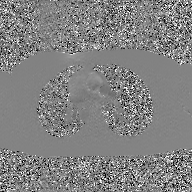
| field | value |
|---|---|
| modality | 2D phase-contrast cine MRI of the ascending aorta, GAN super-resolution reconstruction |